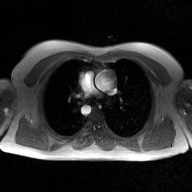
2D phase-contrast cine MRI of the ascending aorta, GAN super-resolution reconstruction.